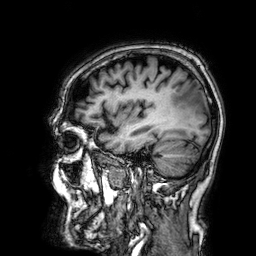
Case summary:
3 Tesla brain MRI. Series: 3D T1-weighted. Study: ring-enhancing brain masses.